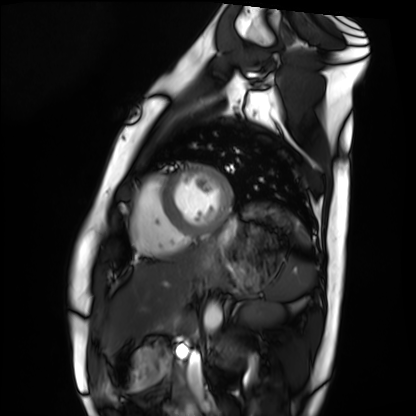
Cardiac MRI. Subject group: healthy volunteer.